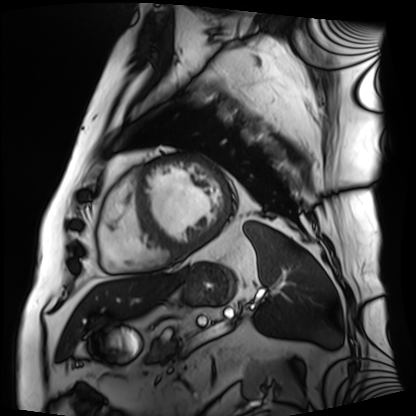
Cardiac MRI.
Subject group: patient.